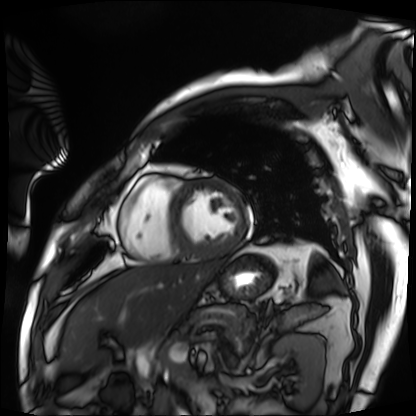
Cardiac MRI. Subject group: patient.